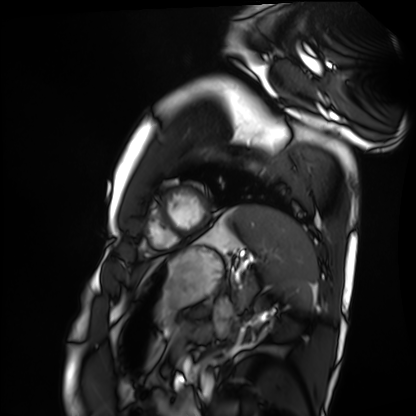
Cardiac MRI.
Subject group: healthy volunteer.